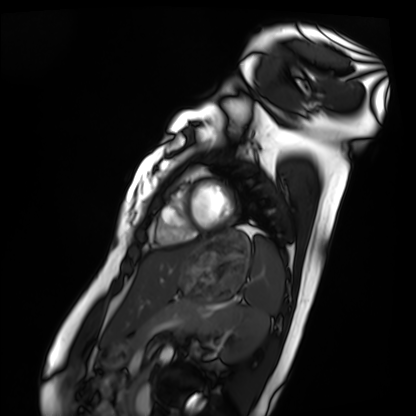
Summary:
Cardiac MRI. Subject group: healthy volunteer.